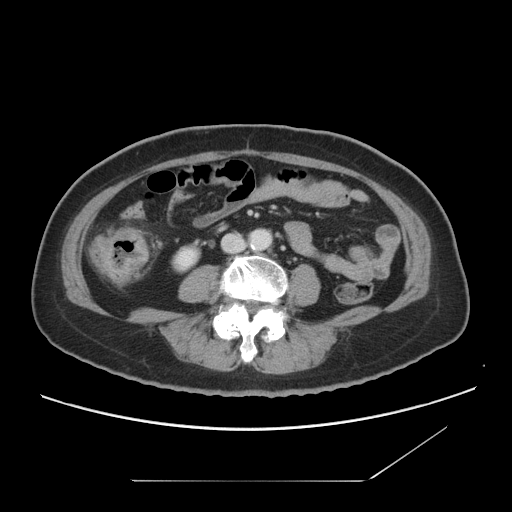
Q: What kind of scan is this?
A: Multiphase abdominal CT, liver, portal venous phase.
Q: Patient?
A: Female, age 66.